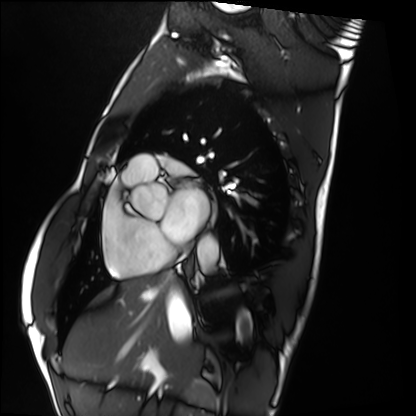
Case summary: Cardiac MRI. Subject group: healthy volunteer.